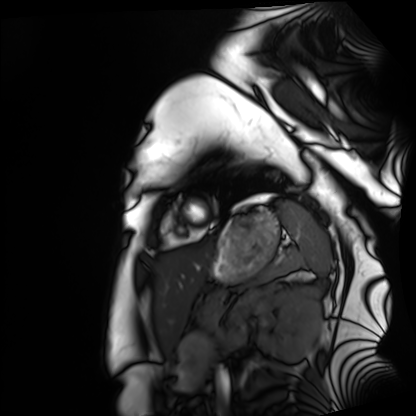
Case:
– modality — cardiac MRI
– subject group — healthy volunteer